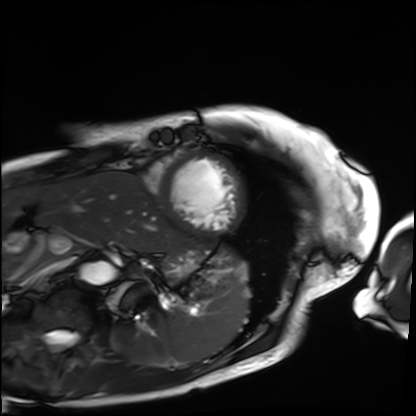
{"modality": "cardiac MRI", "cohort": "patient"}